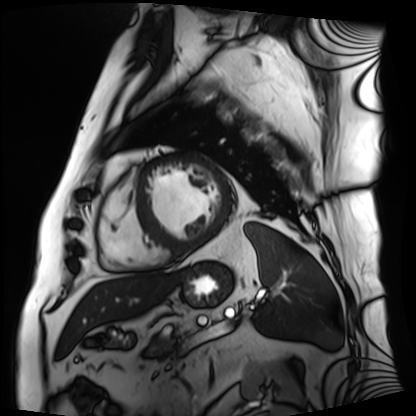
Case:
- modality — cardiac MRI
- subject group — patient